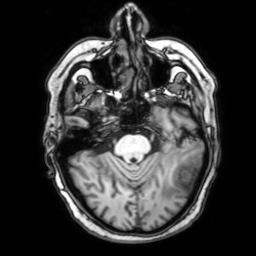
| field | value |
|---|---|
| modality | 3 Tesla brain MRI |
| series | 3D T1-weighted with SENSE |
| study | ring-enhancing brain masses |